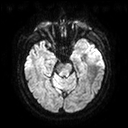
Case summary:
3 Tesla brain MRI. Series: diffusion tensor imaging (medium iso). Study: ring-enhancing brain masses.